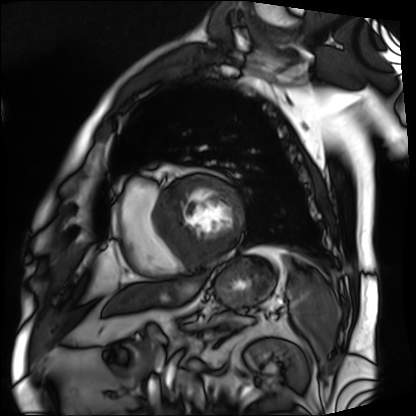
Cardiac MRI. Subject group: patient.